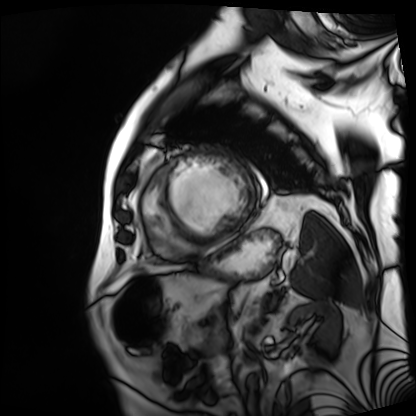
Summary: Cardiac MRI. Subject group: patient.